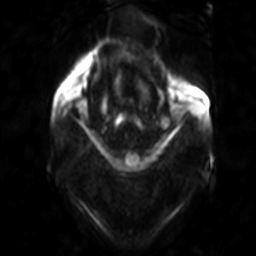
modality — 3 Tesla brain MRI; series — diffusion-weighted imaging; study — ring-enhancing brain masses.